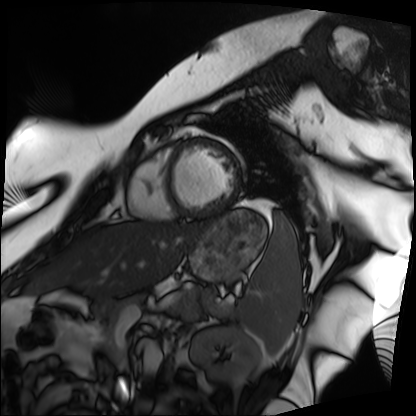
modality: cardiac MRI
cohort: patient